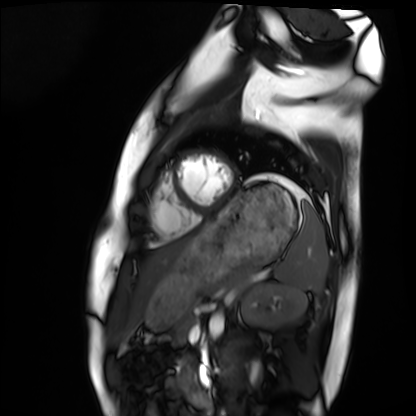
Summary: Cardiac MRI. Subject group: healthy volunteer.